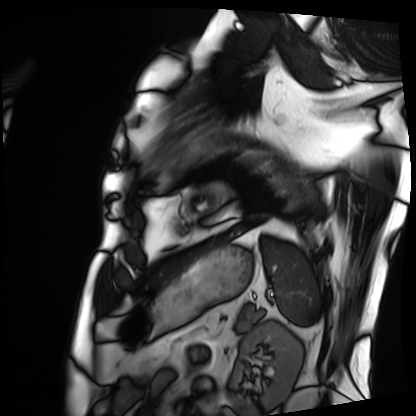
Cardiac MRI. Subject group: patient.